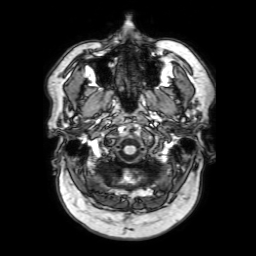
modality: 3 Tesla brain MRI | series: 3D T1-weighted with SENSE | study: ring-enhancing brain masses.